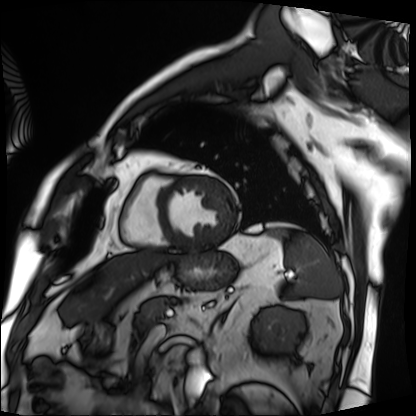
| field | value |
|---|---|
| modality | cardiac MRI |
| subject group | patient |